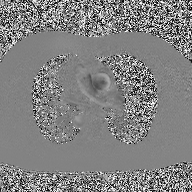
| field | value |
|---|---|
| modality | 2D phase-contrast cine MRI of the ascending aorta |